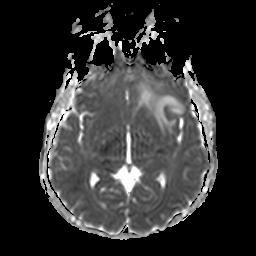
3 Tesla brain MRI.
Series: apparent diffusion coefficient (ADC) map.
Study: ring-enhancing brain masses.